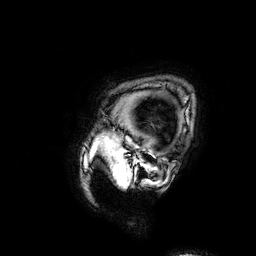
Summary:
3 Tesla brain MRI. Series: 3D T1-weighted. Study: ring-enhancing brain masses.